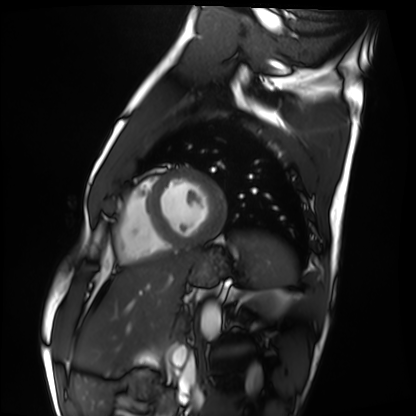
modality = cardiac MRI, subject group = healthy volunteer.